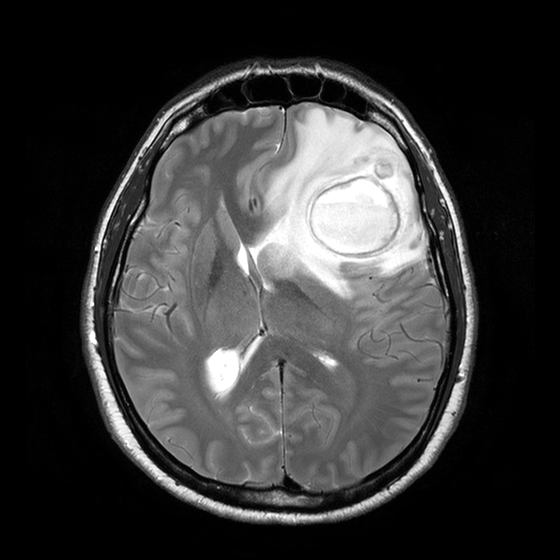
Case:
* modality · 3 Tesla brain MRI
* series · T2-weighted turbo spin echo with CLEAR
* study · ring-enhancing brain masses